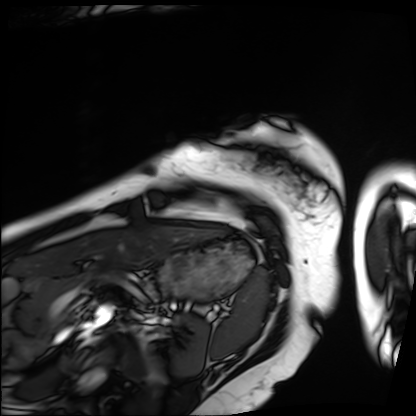
- modality — cardiac MRI
- subject group — patient